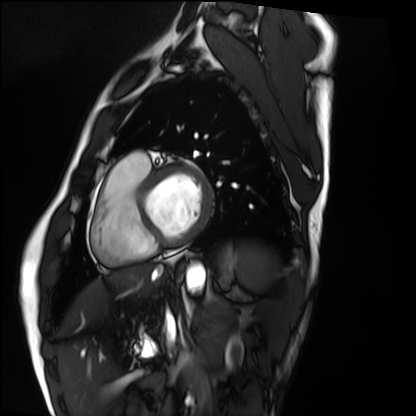
modality: cardiac MRI
subject group: healthy volunteer